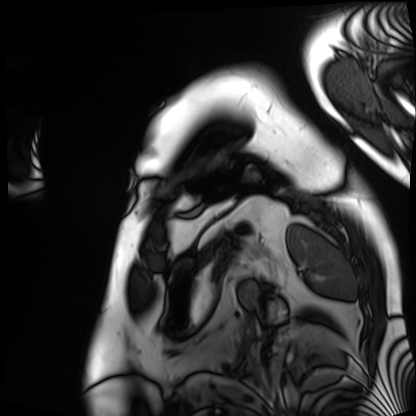
Summary: Cardiac MRI. Subject group: patient.